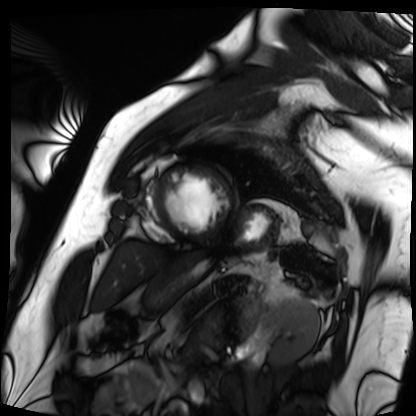
Clinical context: Cardiac MRI. Subject group: patient.